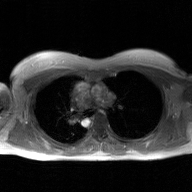
Summary: 2D phase-contrast cine MRI of the ascending aorta, GAN super-resolution reconstruction.